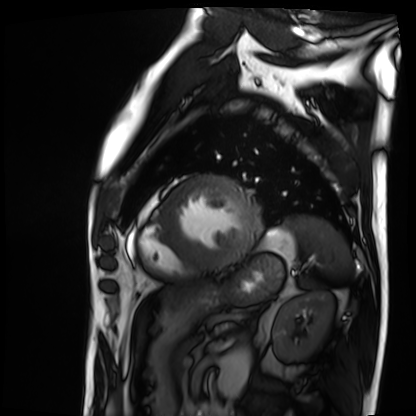
Cardiac MRI. Subject group: patient.